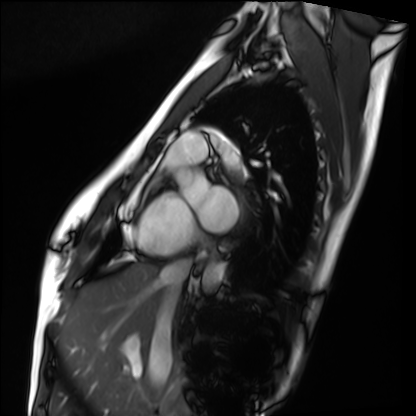
Cardiac MRI. Subject group: healthy volunteer.